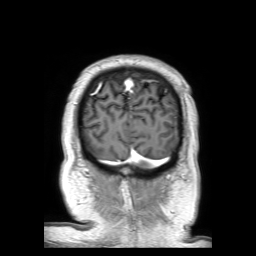
modality — 3 Tesla brain MRI; series — 3D T1-weighted TFE with SENSE; study — ring-enhancing brain masses.